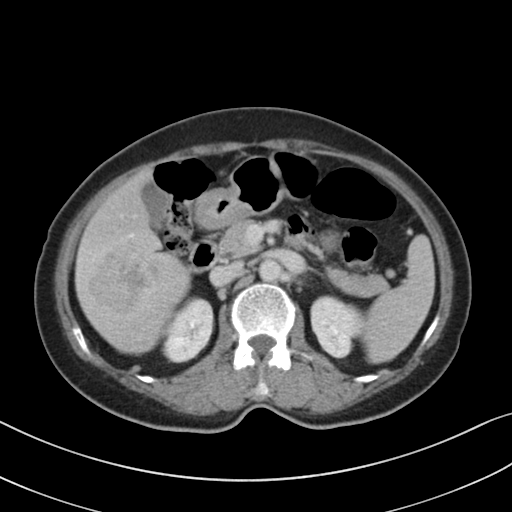
Case summary: Multiphase abdominal CT, liver, delayed phase. Patient: female, age 68.